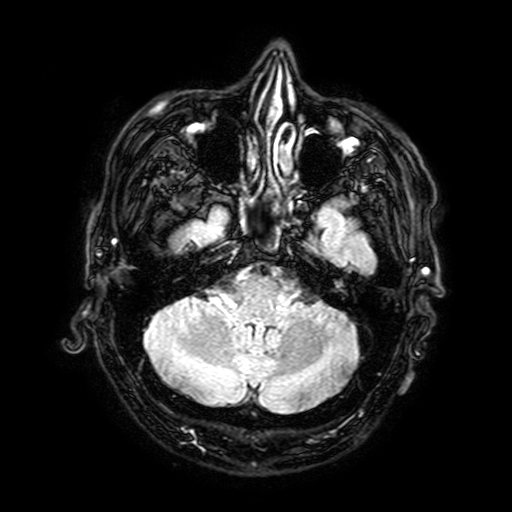
modality: 3 Tesla brain MRI | series: FLAIR with SPAIR, 3 mm | study: ring-enhancing brain masses.